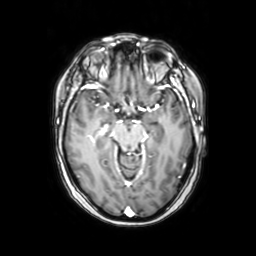
modality: 3 Tesla brain MRI
series: axial with contrast
study: ring-enhancing brain masses